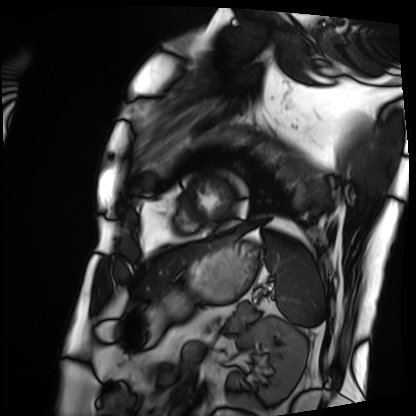
<scan>
<modality>cardiac MRI</modality>
<cohort>patient</cohort>
</scan>